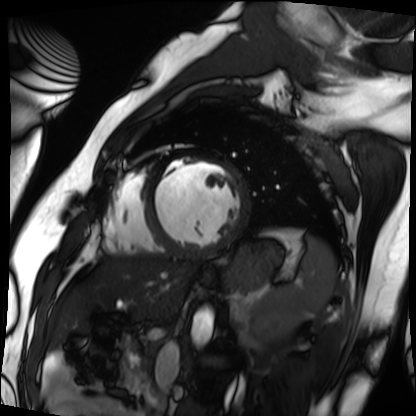
modality: cardiac MRI
subject group: patient